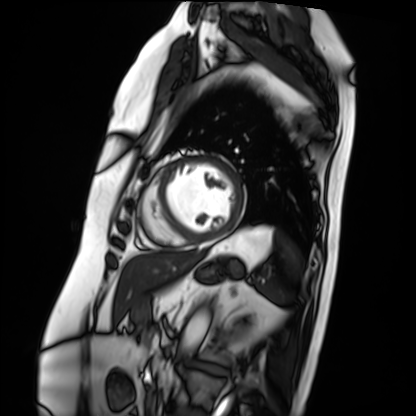
Q: What kind of scan is this?
A: Cardiac MRI.
Subject group: patient.